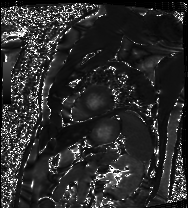
Summary:
Cardiac MRI. Subject group: patient.